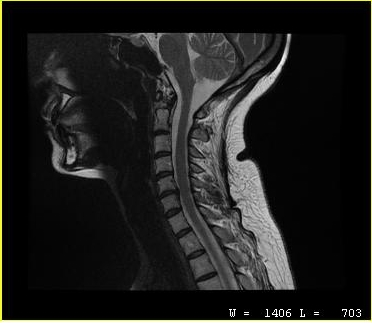
MRI of the cervical spine.
Study: cervical spondylosis.